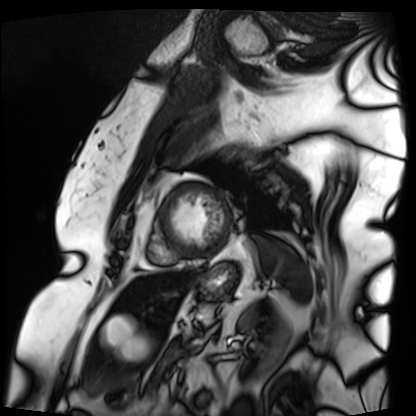
{
  "modality": "cardiac MRI",
  "cohort": "patient"
}